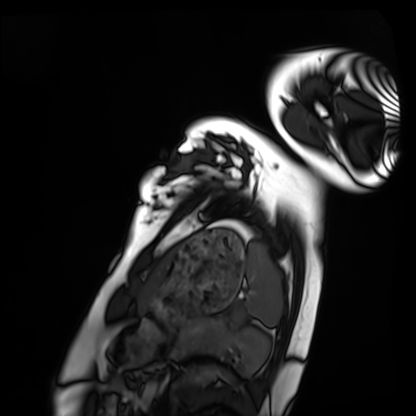
Case summary:
Cardiac MRI. Subject group: healthy volunteer.